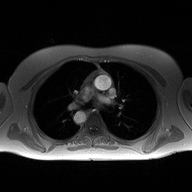
modality: 2D phase-contrast cine MRI of the ascending aorta